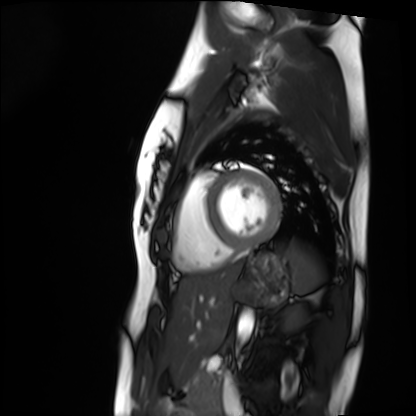
Cardiac MRI.
Subject group: healthy volunteer.